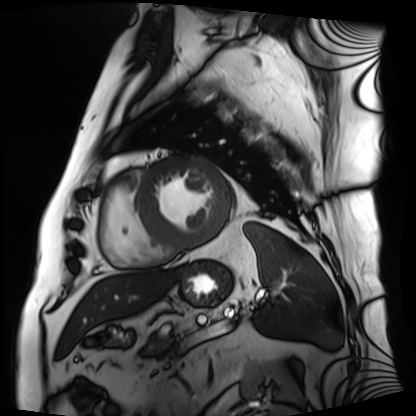
- modality: cardiac MRI
- subject group: patient